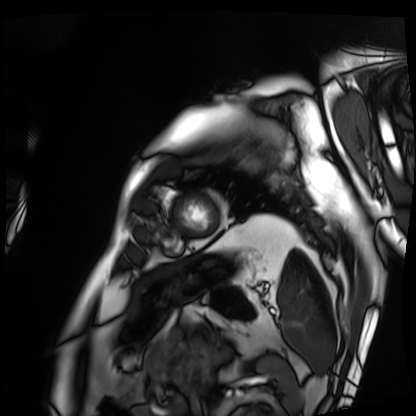
Cardiac MRI. Subject group: patient.